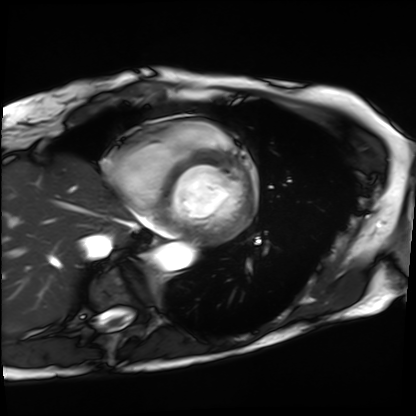
modality: cardiac MRI | subject group: patient.